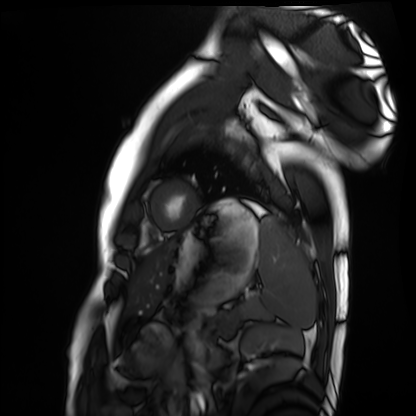
Q: What kind of scan is this?
A: Cardiac MRI.
Subject group: healthy volunteer.